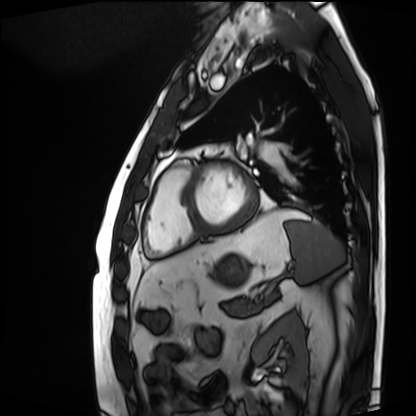
Cardiac MRI. Subject group: patient.